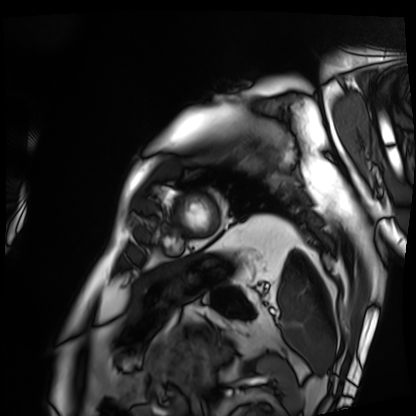
| field | value |
|---|---|
| modality | cardiac MRI |
| subject group | patient |